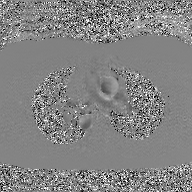
modality:
  type: 2D phase-contrast cine MRI
  region: ascending aorta
  reconstruction: GAN super-resolution reconstruction